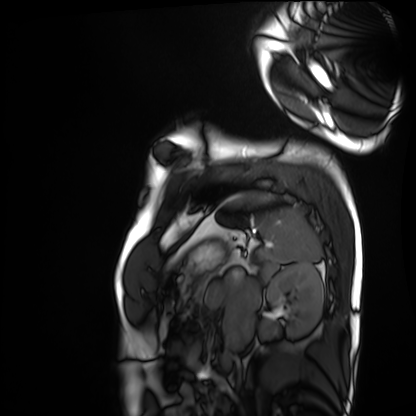
Cardiac MRI. Subject group: healthy volunteer.